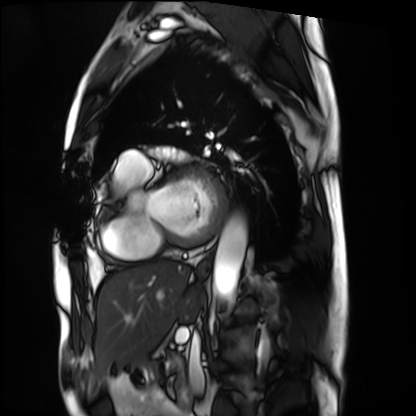
Case:
• modality: cardiac MRI
• subject group: patient